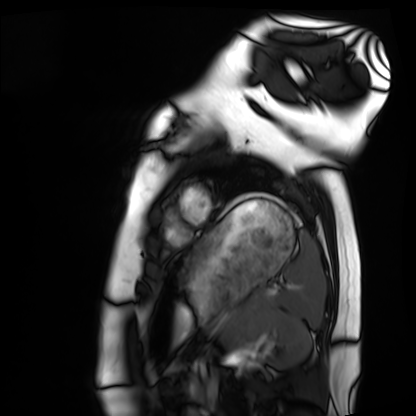
- modality: cardiac MRI
- subject group: healthy volunteer